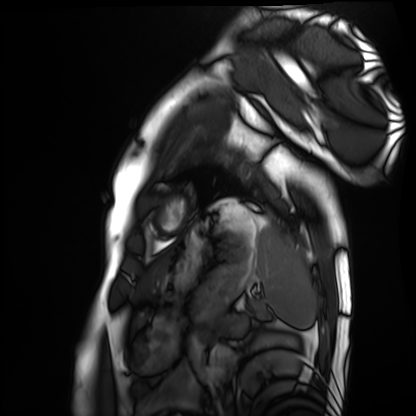
Case summary:
Cardiac MRI. Subject group: healthy volunteer.